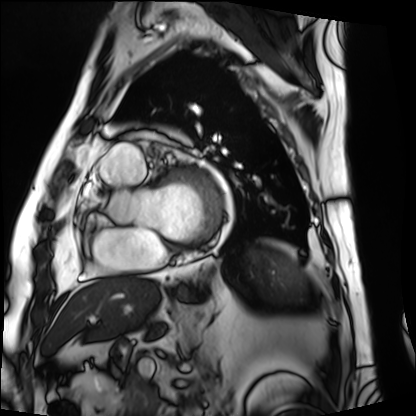
modality: cardiac MRI
subject group: patient